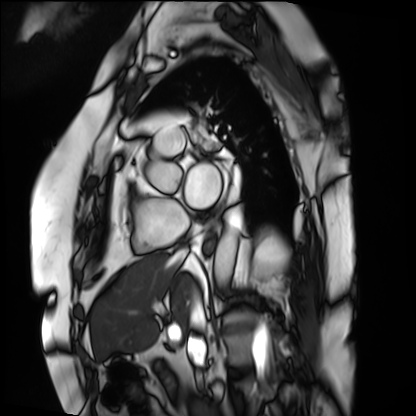
Cardiac MRI.
Subject group: patient.